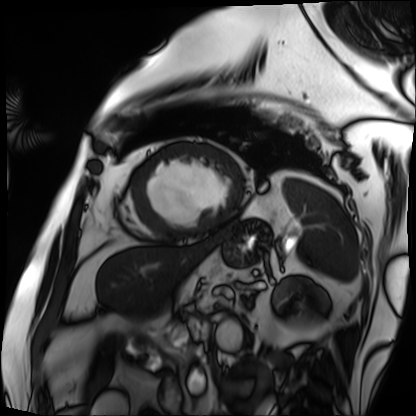
Cardiac MRI.
Subject group: patient.